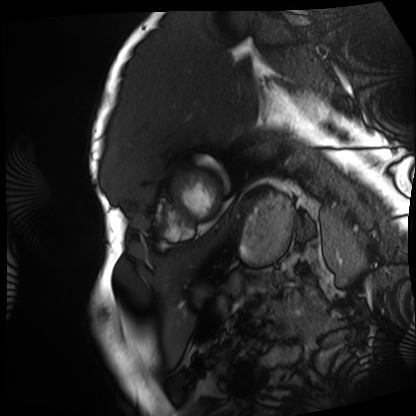
Q: What kind of scan is this?
A: Cardiac MRI.
Subject group: patient.